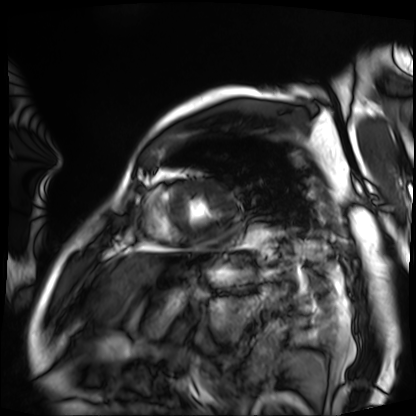
{"modality": "cardiac MRI", "cohort": "patient"}